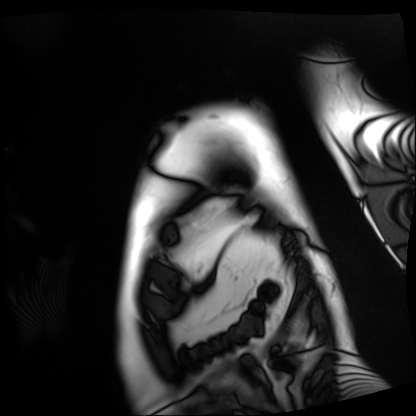
modality: cardiac MRI
cohort: patient